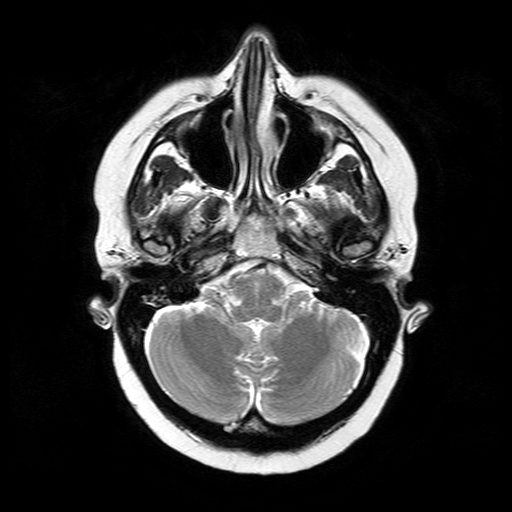
{"modality": {"type": "brain MRI", "field_strength": "3T"}, "series": "T2-weighted turbo spin echo", "study_topic": "ring-enhancing brain masses"}